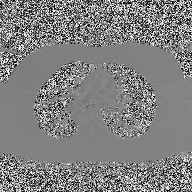
| field | value |
|---|---|
| modality | 2D phase-contrast cine MRI of the ascending aorta |